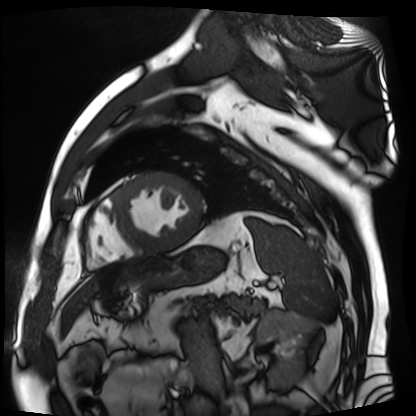
Cardiac MR image of the myocardium.
Subject cohort: cardiac patient.